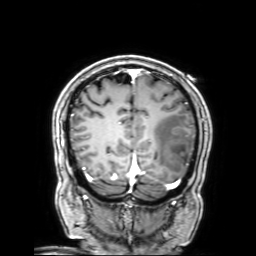
3 Tesla brain MRI. Series: 3D T1-weighted with SENSE. Study: ring-enhancing brain masses.